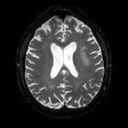
• modality — 3 Tesla brain MRI
• study — ring-enhancing brain masses